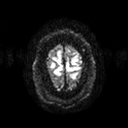
3 Tesla brain MRI. Series: diffusion tensor imaging (medium iso). Study: ring-enhancing brain masses.